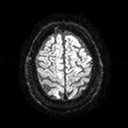
* modality: 3 Tesla brain MRI
* series: diffusion tensor imaging (medium iso)
* study: ring-enhancing brain masses